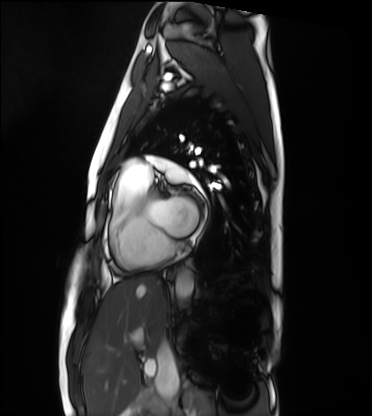
Q: What kind of scan is this?
A: Cardiac MRI.
Subject group: healthy volunteer.